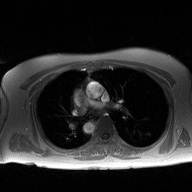
Q: What kind of scan is this?
A: 2D phase-contrast cine MRI of the ascending aorta.